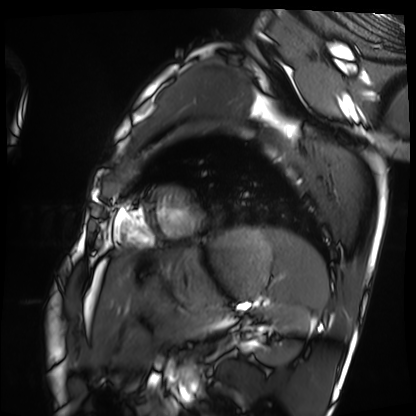
modality: cardiac MRI; subject group: healthy volunteer.